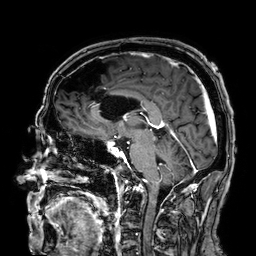
  modality:
    type: brain MRI
    field_strength: 3T
  series: 3D T1-weighted
  study_topic: ring-enhancing brain masses